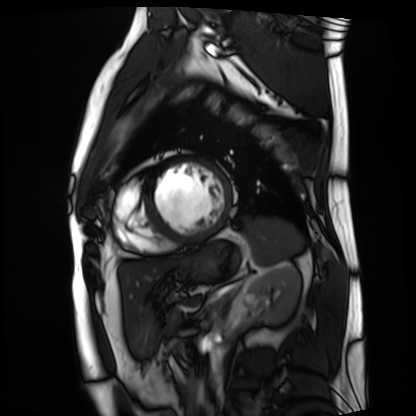
Cardiac MRI. Subject group: patient.